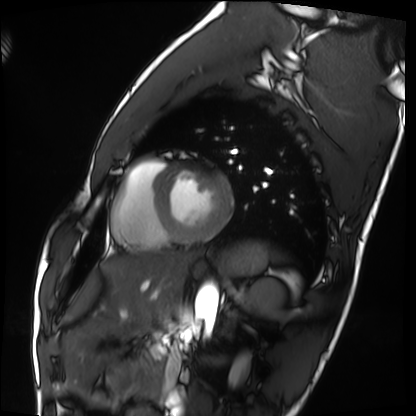
modality: cardiac MRI
subject group: healthy volunteer